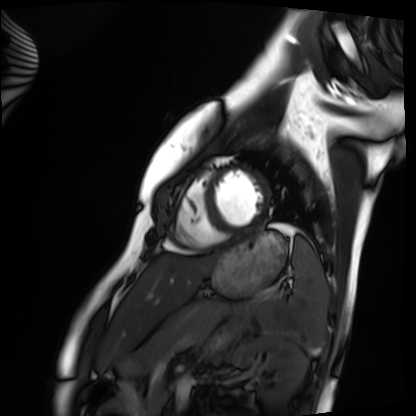
Cardiac MRI. Subject group: healthy volunteer.